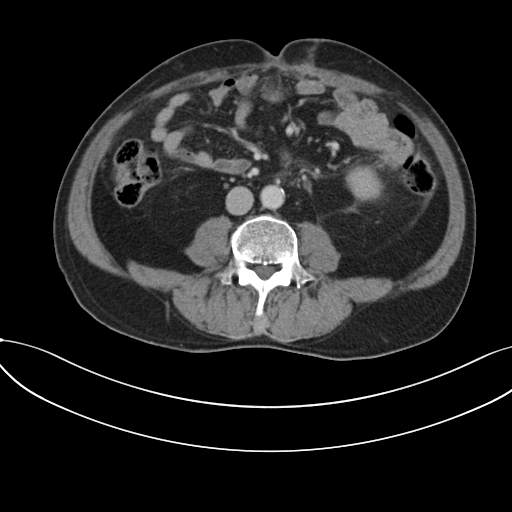
  modality:
    type: multiphase abdominal CT
    region: liver
    phase: portal venous
  patient:
    sex: male
    age: 56
  history:
    - prior chemotherapy